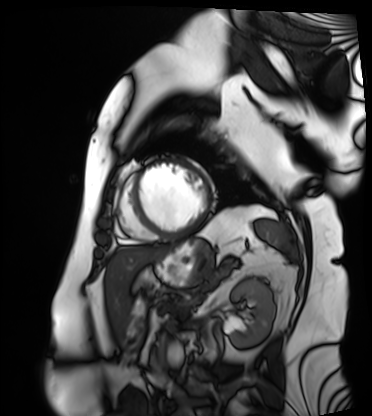
Cardiac MRI.
Subject group: patient.